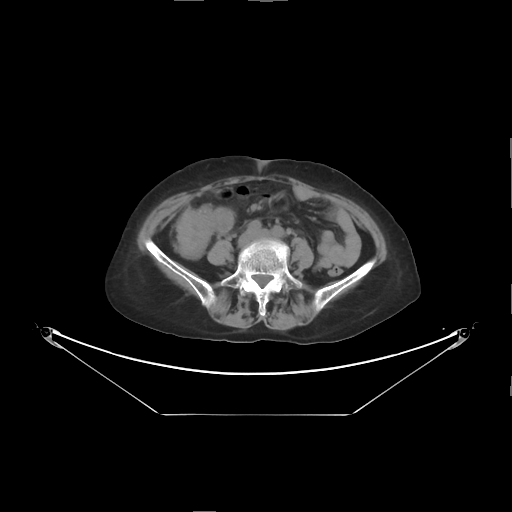
Q: What kind of scan is this?
A: Multiphase abdominal CT, liver, non-contrast phase.
Q: Patient?
A: Female, age 63.